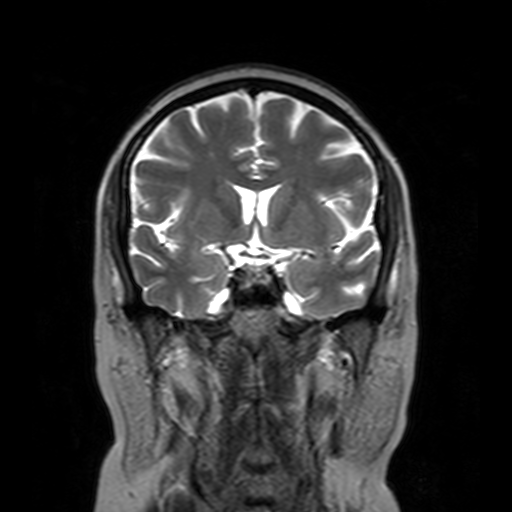
Q: What kind of scan is this?
A: 3 Tesla brain MRI.
Q: Series?
A: T2-weighted turbo spin echo with SENSE.
Study: ring-enhancing brain masses.